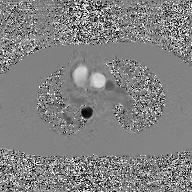
2D phase-contrast cine MRI of the ascending aorta, GAN super-resolution reconstruction.